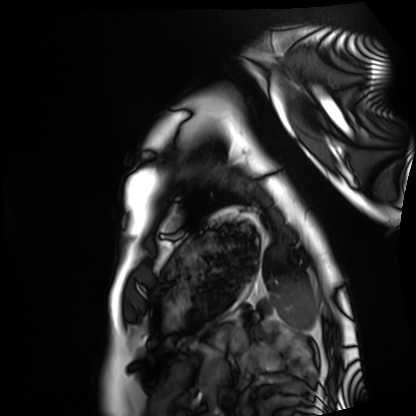
Clinical context: Cardiac MRI. Subject group: healthy volunteer.